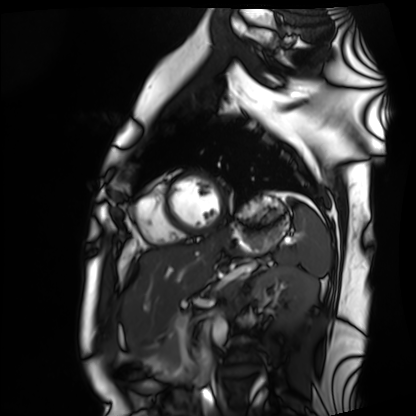
{
  "modality": "cardiac MRI",
  "cohort": "healthy volunteer"
}